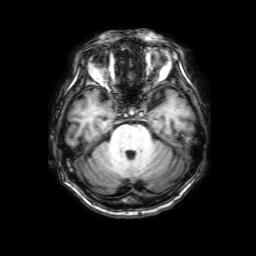
Summary: 3 Tesla brain MRI. Series: 3D T1-weighted with SENSE. Study: ring-enhancing brain masses.